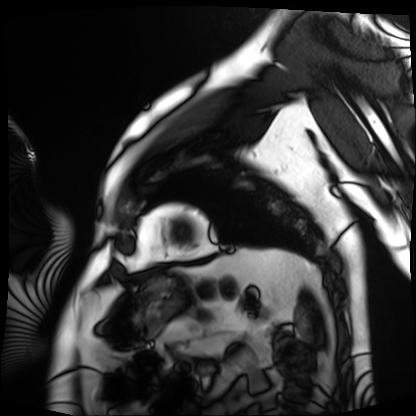
modality — cardiac MRI | subject group — patient.